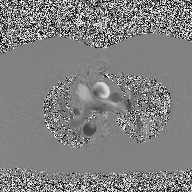
modality: 2D phase-contrast cine MRI of the ascending aorta.